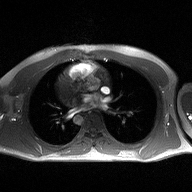
{"modality": {"type": "2D phase-contrast cine MRI", "region": "ascending aorta", "reconstruction": "high-resolution GRAPPA acquisition"}}